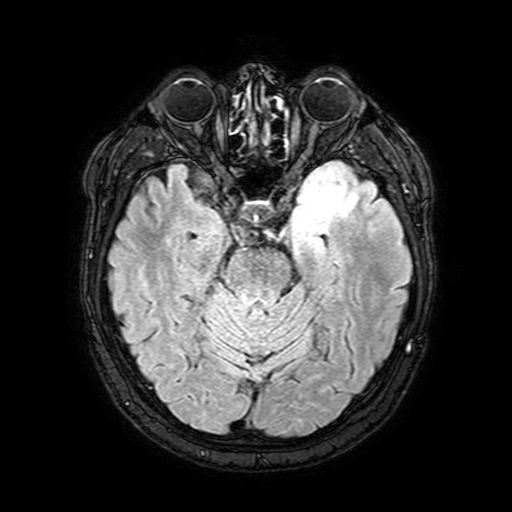
Q: What kind of scan is this?
A: 3 Tesla brain MRI.
Q: Series?
A: FLAIR with SPAIR, 3 mm.
Study: ring-enhancing brain masses.